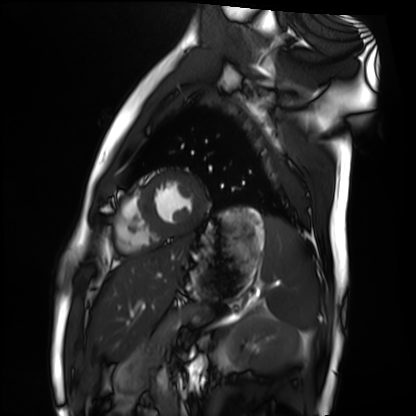
| field | value |
|---|---|
| modality | cardiac MRI |
| subject group | healthy volunteer |